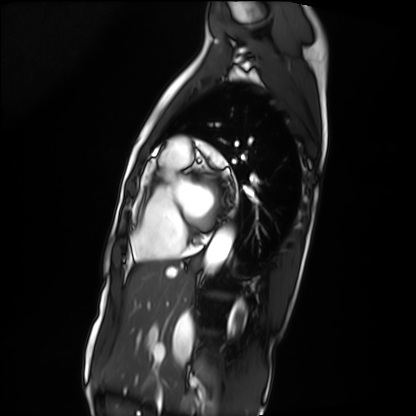
Cardiac MRI.
Subject group: patient.